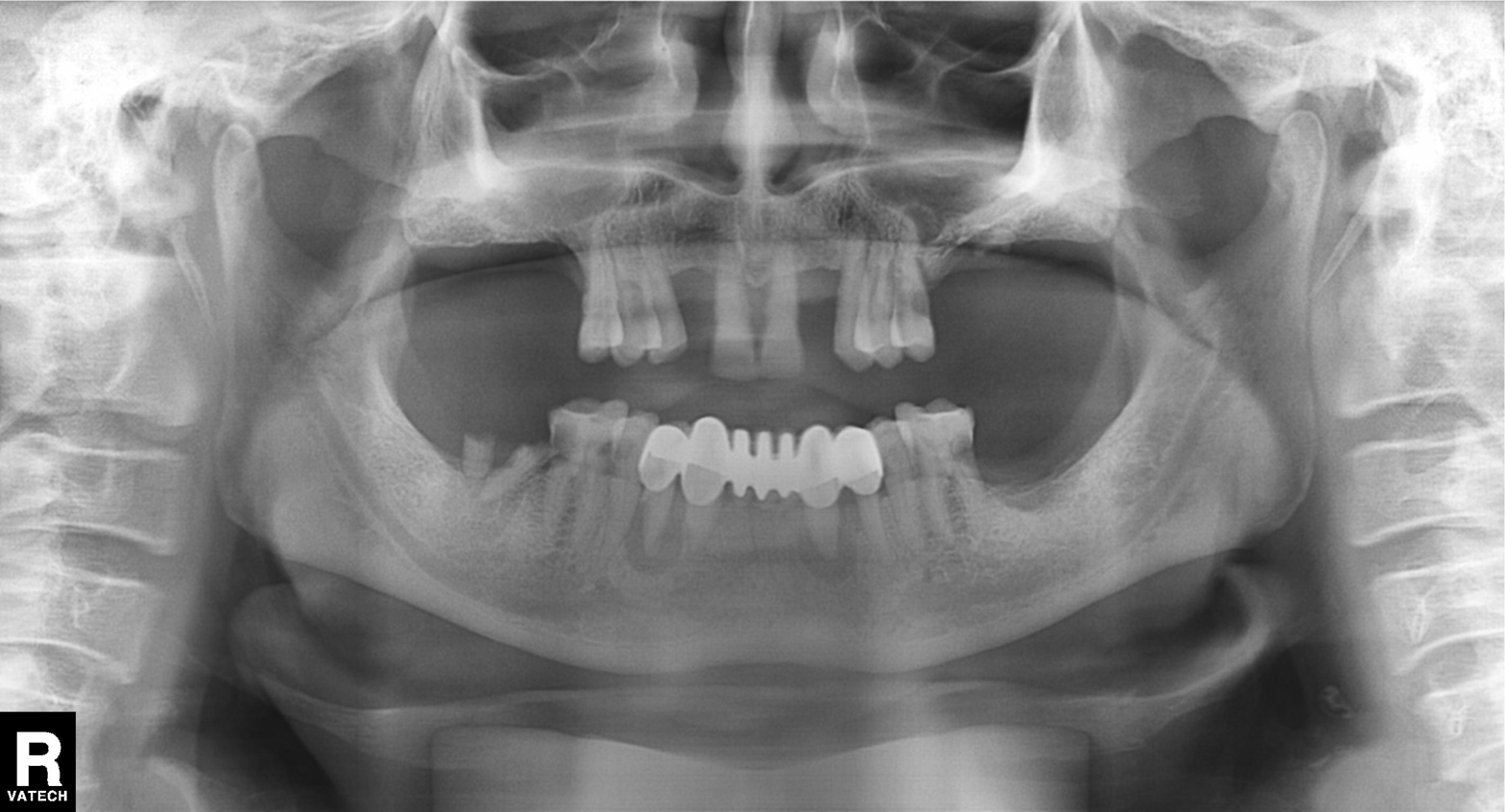
Summary:
Panoramic dental radiograph (orthopantomogram).
Diagnosis:
Dental caries (cavities).